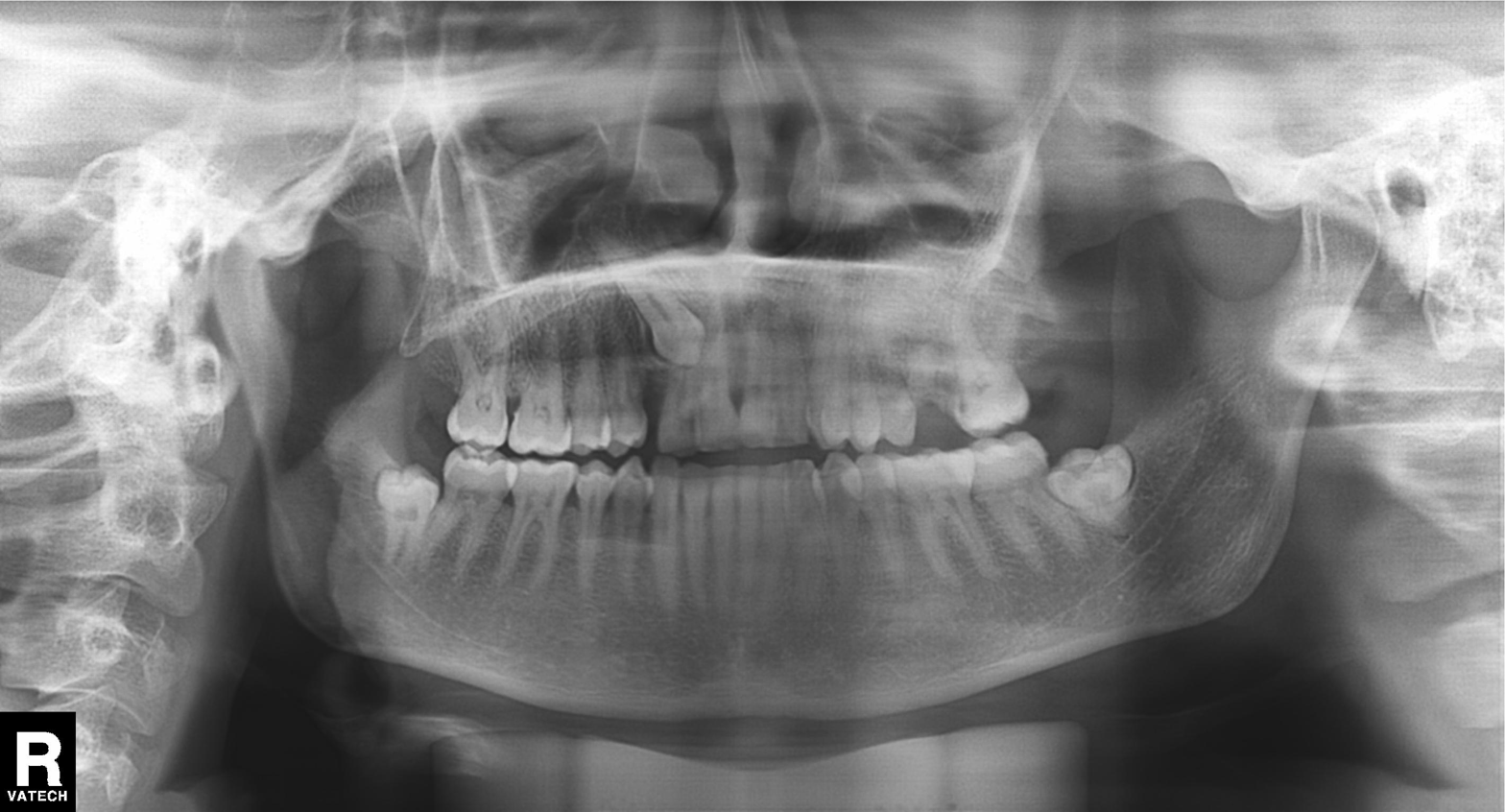
modality = panoramic dental radiograph (orthopantomogram) | finding = alveolar bone loss.